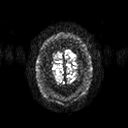
modality: 3 Tesla brain MRI | series: diffusion tensor imaging (medium iso) | study: ring-enhancing brain masses.